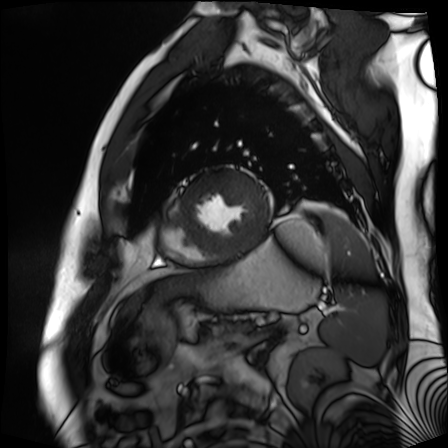
Cardiac MR image of the myocardium. Subject cohort: cardiac patient.